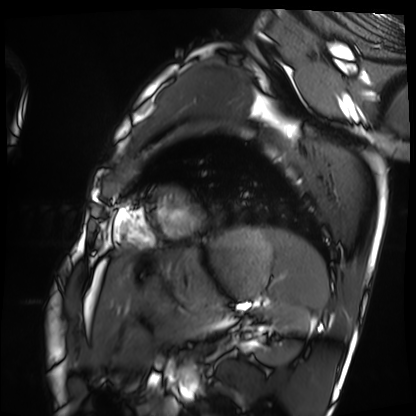
modality = cardiac MRI, subject group = healthy volunteer.